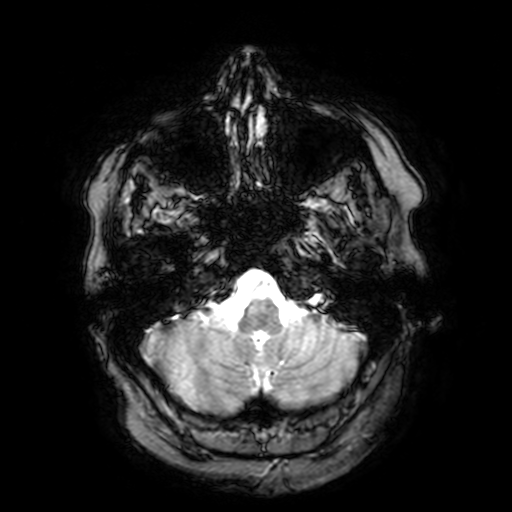
Summary: 3 Tesla brain MRI. Series: T2-weighted fast field echo with SENSE. Study: ring-enhancing brain masses.